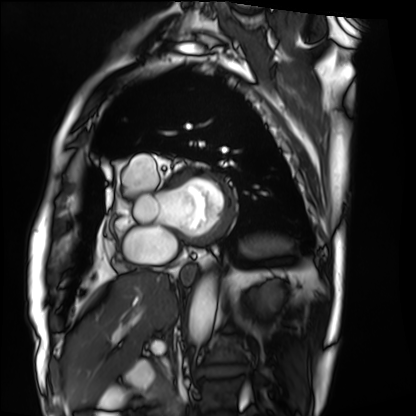
{"modality": "cardiac MRI", "cohort": "patient"}